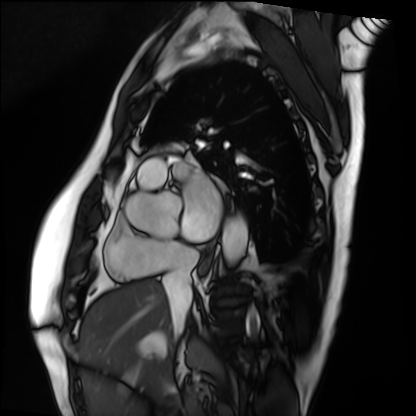
Cardiac MRI. Subject group: patient.